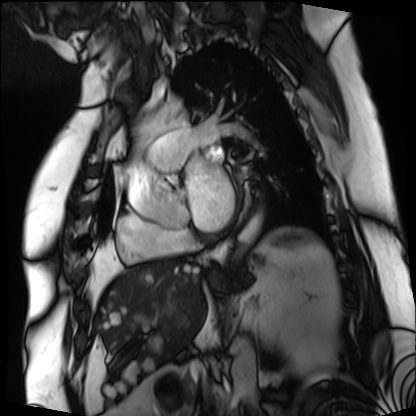
Cardiac MRI.
Subject group: patient.